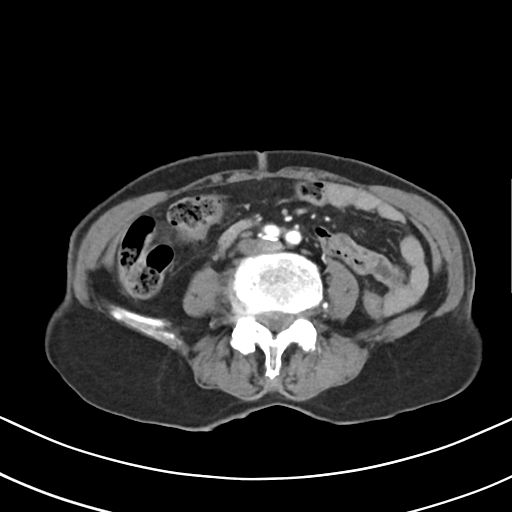
Case:
• modality — multiphase abdominal CT, liver, arterial phase
• patient — female, age 75
• history — prior chemotherapy